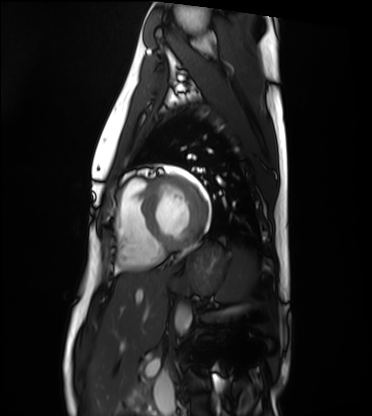
<study>
<modality>cardiac MRI</modality>
<cohort>healthy volunteer</cohort>
</study>